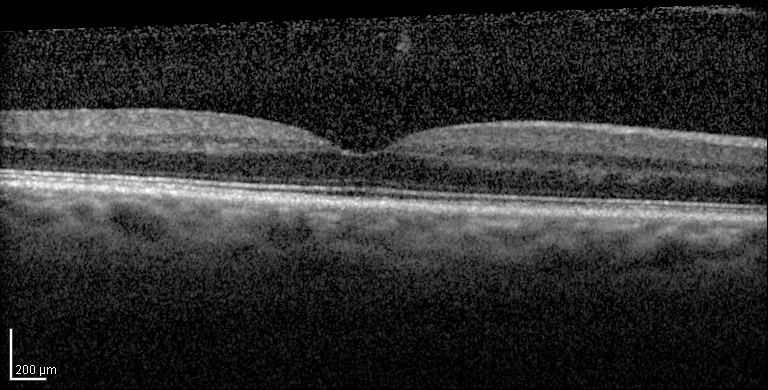
modality: infrared image and spectral-domain optical coherence tomography (SD-OCT) scan of the macula
subject: female, age 72
cohort: diabetic subject
ETDRS-grid retinal thickness (μm): central 296, inner temporal 332, inner nasal 353, inner superior 352, inner inferior 338, outer nasal 329, outer inferior 286